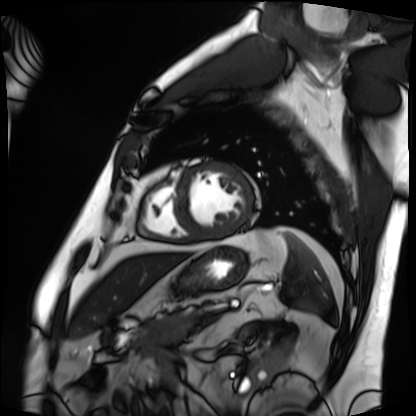
modality: cardiac MRI, subject group: patient.